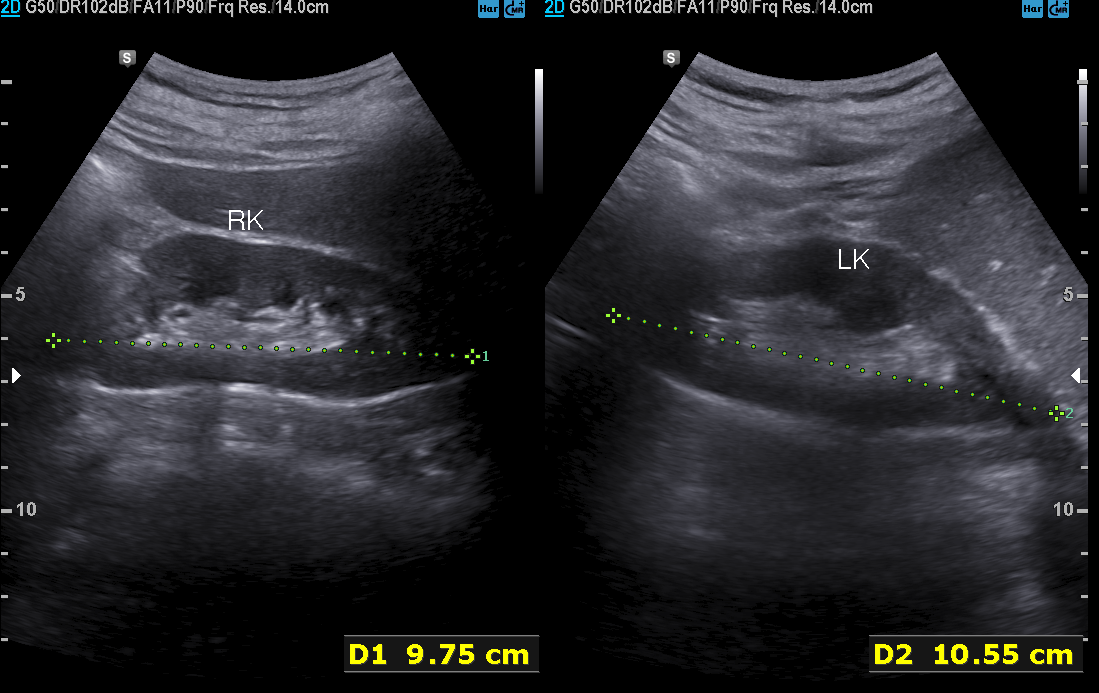
Q: What kind of scan is this?
A: Genitourinary ultrasound.